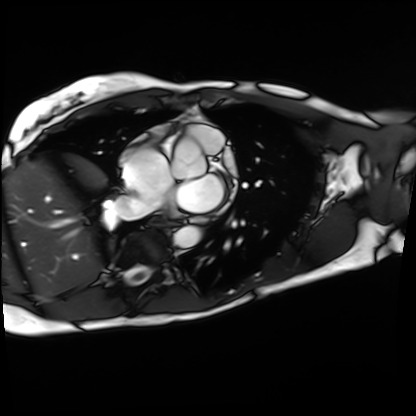
Q: What kind of scan is this?
A: Cardiac MRI.
Subject group: patient.